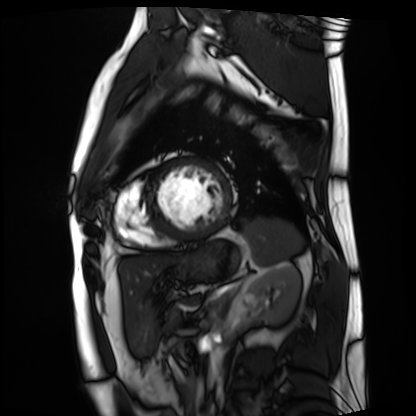
Cardiac MRI. Subject group: patient.